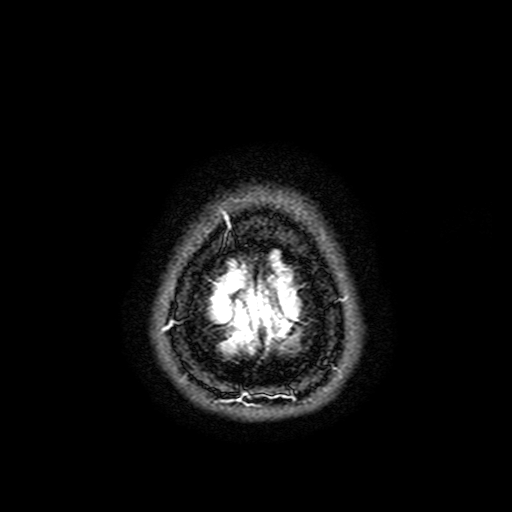
modality: 3 Tesla brain MRI | series: FLAIR with SPAIR, 3 mm | study: ring-enhancing brain masses.